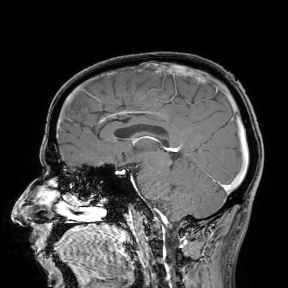
modality — 3 Tesla brain MRI
study — ring-enhancing brain masses